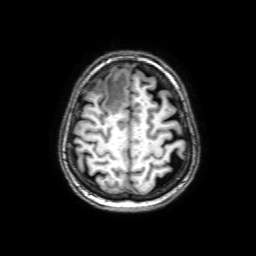
modality=3 Tesla brain MRI | series=3D T1-weighted with SENSE | study=ring-enhancing brain masses.